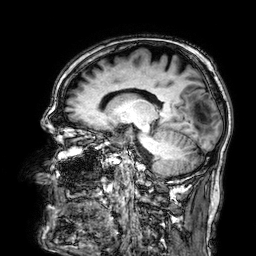
* modality · 3 Tesla brain MRI
* series · 3D T1-weighted
* study · ring-enhancing brain masses